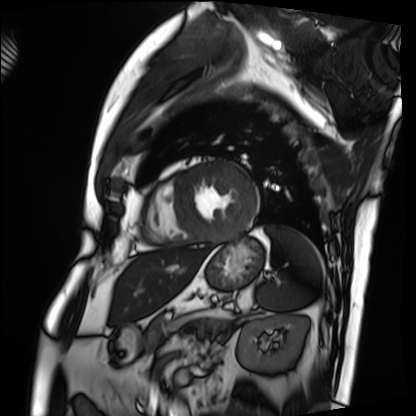
modality: cardiac MRI | subject group: patient.